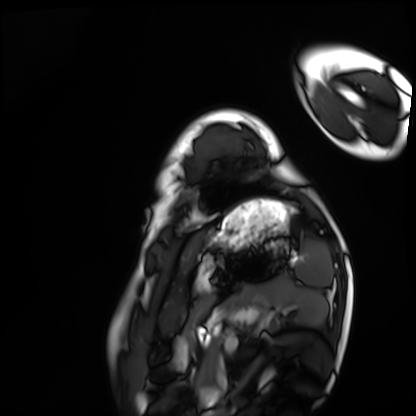
• modality: cardiac MRI
• subject group: healthy volunteer